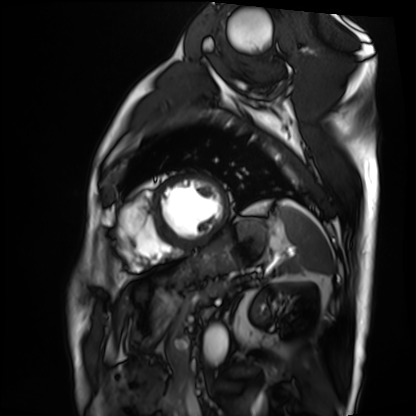
Cardiac MRI. Subject group: patient.